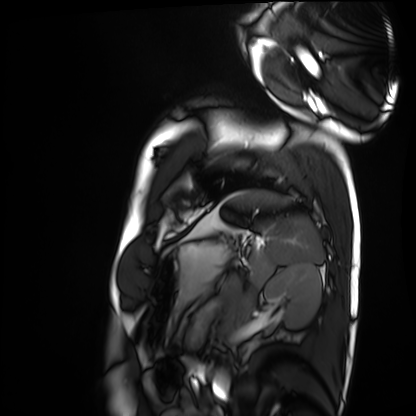
| field | value |
|---|---|
| modality | cardiac MRI |
| subject group | healthy volunteer |